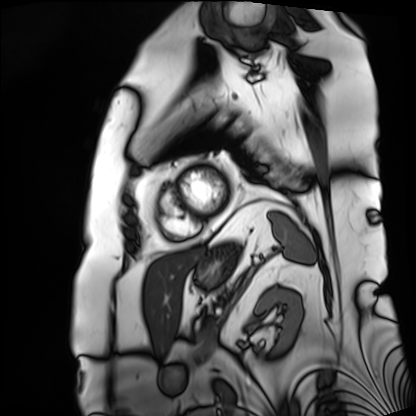
Case:
* modality — cardiac MRI
* subject group — patient